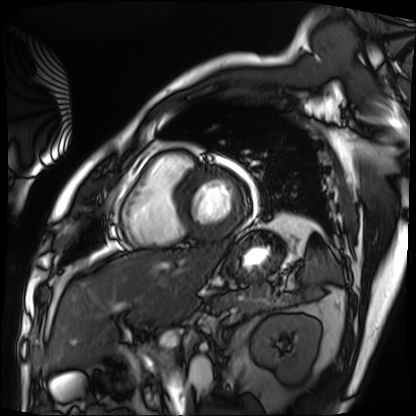
* modality · cardiac MRI
* subject group · patient